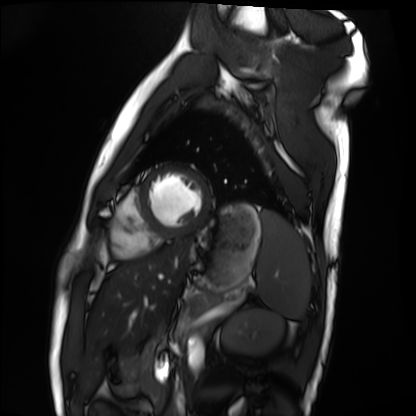
| field | value |
|---|---|
| modality | cardiac MRI |
| subject group | healthy volunteer |